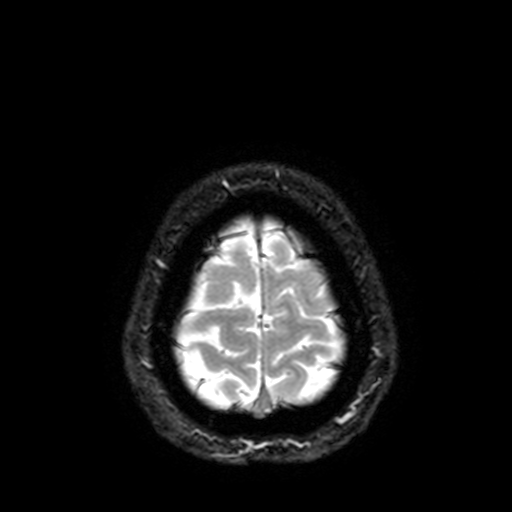
3 Tesla brain MRI. Series: T2-weighted fast field echo with SENSE. Study: ring-enhancing brain masses.